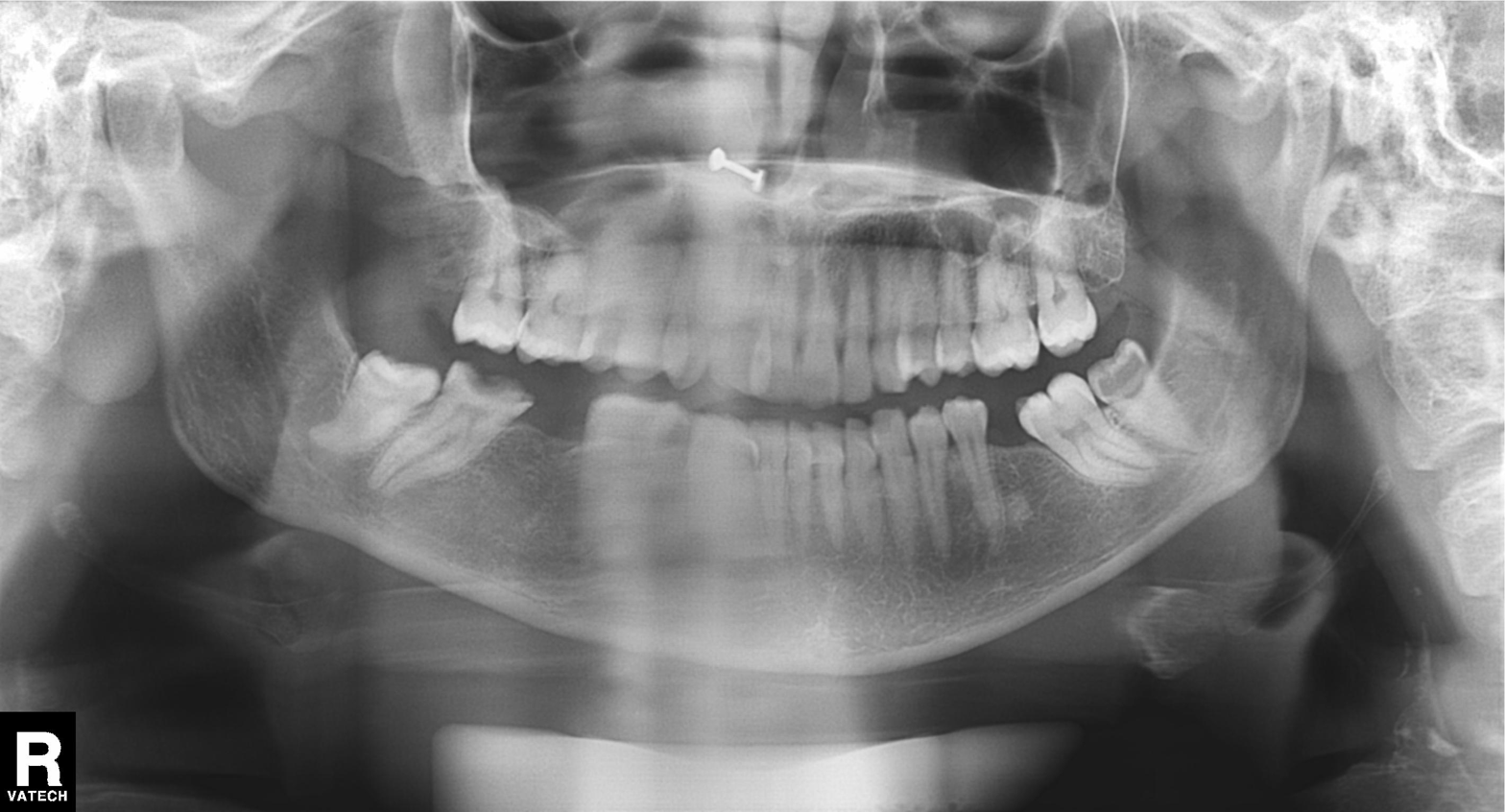
Clinical context: Panoramic dental radiograph (orthopantomogram).
Impression: Tooth impaction.